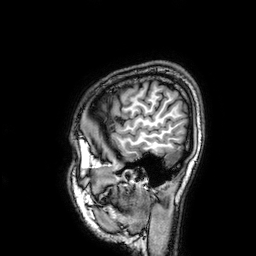
3 Tesla brain MRI.
Series: 3D T1-weighted.
Study: ring-enhancing brain masses.